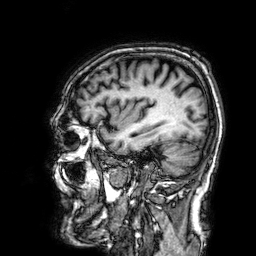
modality: 3 Tesla brain MRI; series: 3D T1-weighted; study: ring-enhancing brain masses.